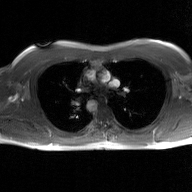
modality:
  type: 2D phase-contrast cine MRI
  region: ascending aorta
  reconstruction: GAN super-resolution reconstruction